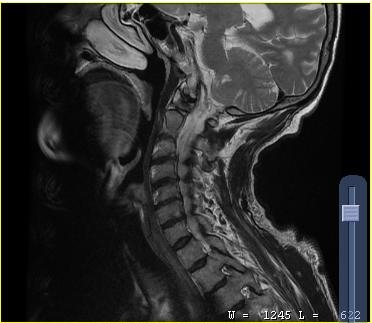
Summary:
MRI of the cervical spine. Study: cervical spondylosis.